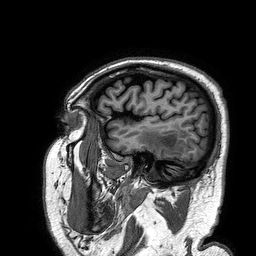
3 Tesla brain MRI.
Series: 3D T1-weighted turbo field echo.
Study: ring-enhancing brain masses.